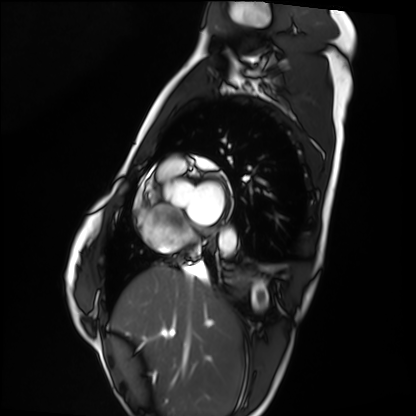
<record>
<modality>cardiac MRI</modality>
<cohort>healthy volunteer</cohort>
</record>